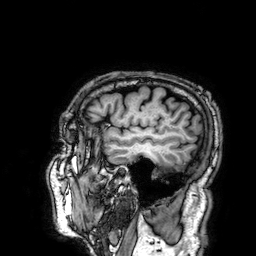
Clinical context: 3 Tesla brain MRI. Series: 3D T1-weighted. Study: ring-enhancing brain masses.